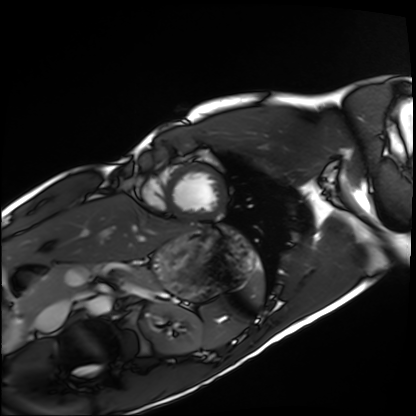
{"modality": "cardiac MRI", "cohort": "healthy volunteer"}